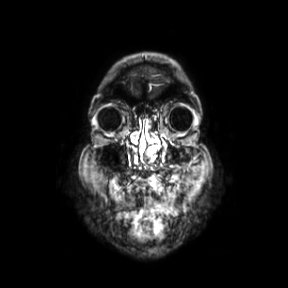
Case summary:
3 Tesla brain MRI. Series: coronal. Study: ring-enhancing brain masses.